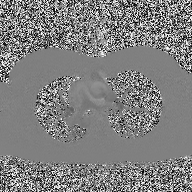
Clinical context: 2D phase-contrast cine MRI of the ascending aorta, high-resolution GRAPPA acquisition.